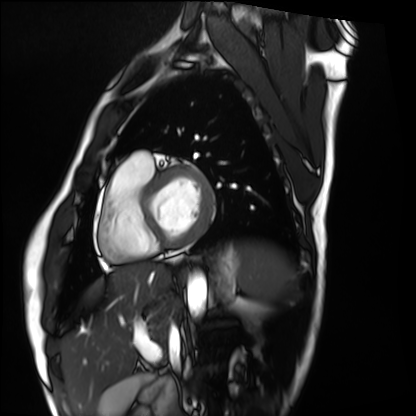
<case>
<modality>cardiac MRI</modality>
<cohort>healthy volunteer</cohort>
</case>